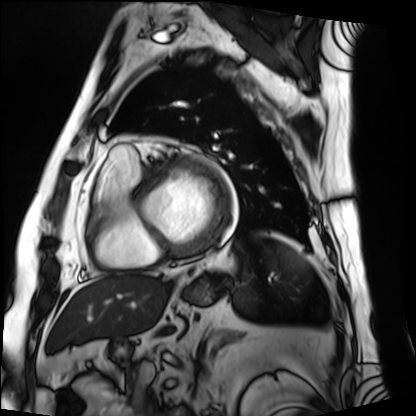
Summary:
Cardiac MRI. Subject group: patient.